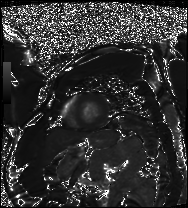
Cardiac MRI.
Subject group: patient.